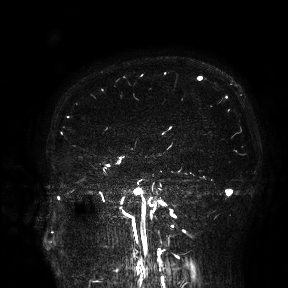
Case:
– modality — 3 Tesla brain MRI
– study — ring-enhancing brain masses